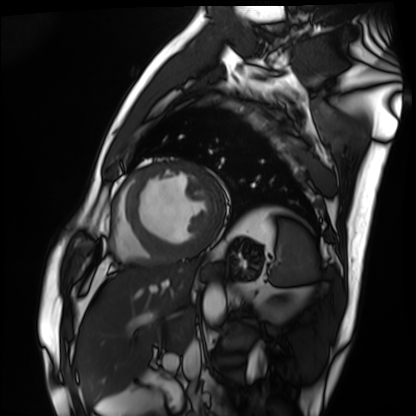
Case:
• modality · cardiac MRI
• subject group · patient